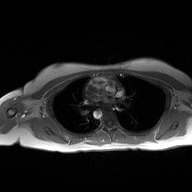
2D phase-contrast cine MRI of the ascending aorta, high-resolution GRAPPA acquisition.